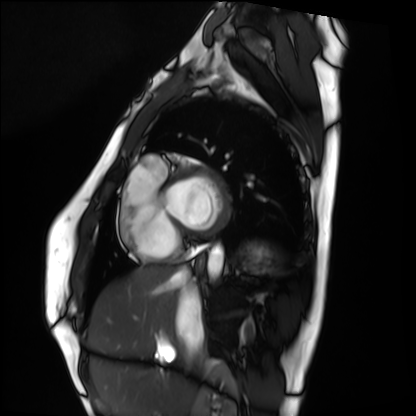
Cardiac MRI.
Subject group: healthy volunteer.